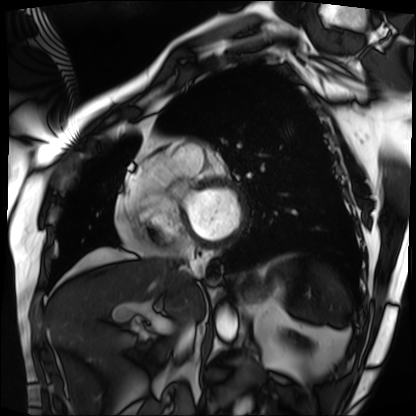
Cardiac MRI.
Subject group: patient.